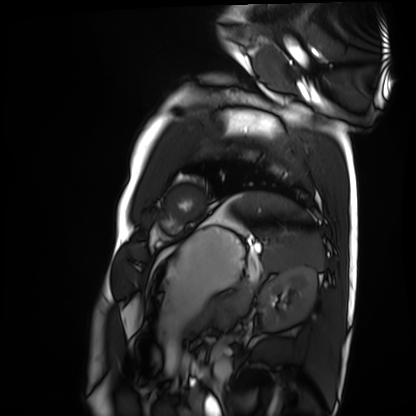
Summary:
Cardiac MRI. Subject group: healthy volunteer.